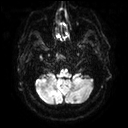
modality: 3 Tesla brain MRI; series: diffusion tensor imaging (medium iso); study: ring-enhancing brain masses.